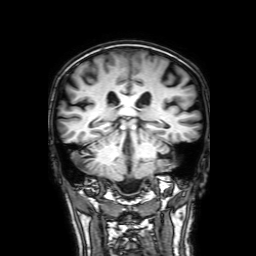
Summary: 3 Tesla brain MRI. Series: 3D T1-weighted with SENSE. Study: ring-enhancing brain masses.